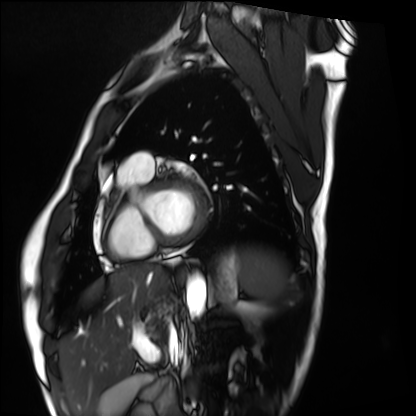
Cardiac MRI. Subject group: healthy volunteer.